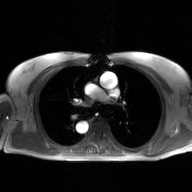
Clinical context: 2D phase-contrast cine MRI of the ascending aorta, GAN super-resolution reconstruction.